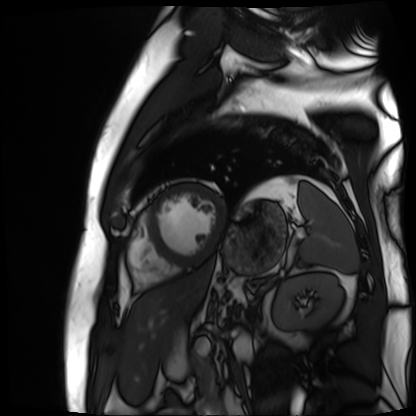
Cardiac MR image of the myocardium. Subject cohort: cardiac patient.